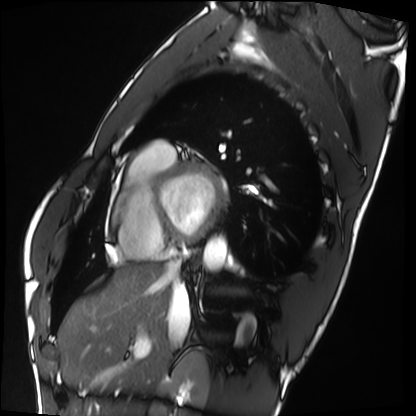
Summary:
Cardiac MRI. Subject group: healthy volunteer.